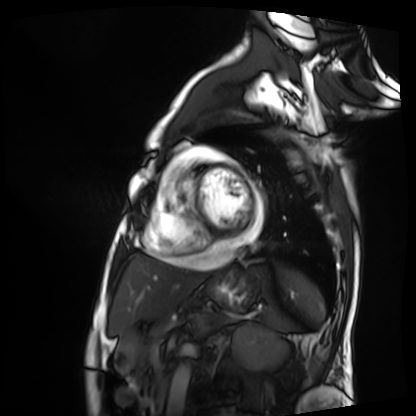
modality = cardiac MRI
subject group = patient